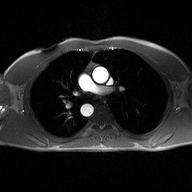
Summary: 2D phase-contrast cine MRI of the ascending aorta, high-resolution GRAPPA acquisition.